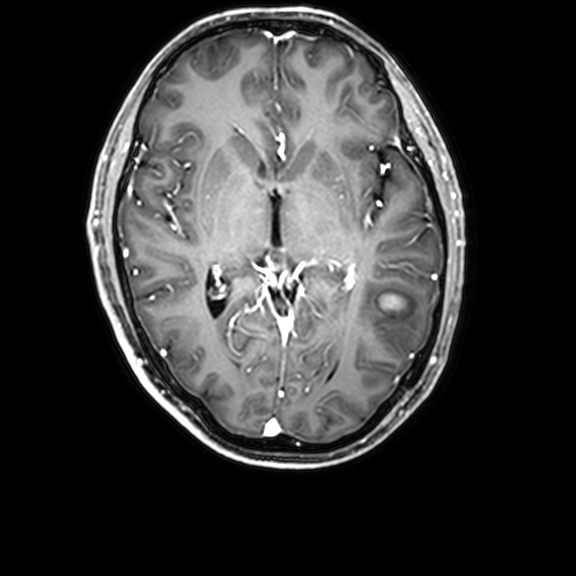
Clinical context:
3 Tesla brain MRI. Study: ring-enhancing brain masses.